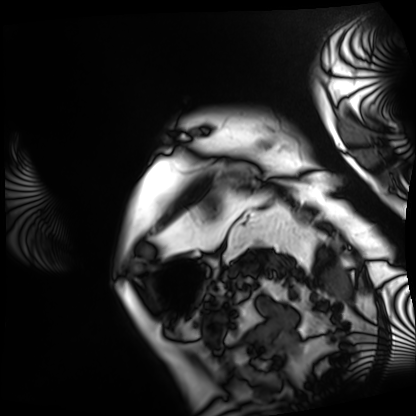
– modality — cardiac MRI
– subject group — patient